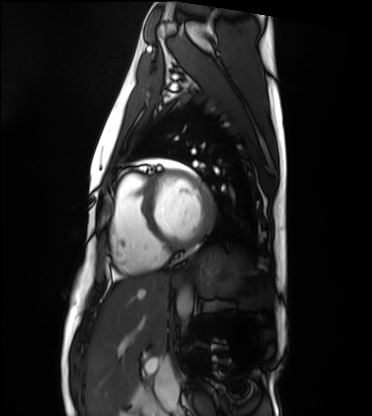
{
  "modality": "cardiac MRI",
  "cohort": "healthy volunteer"
}